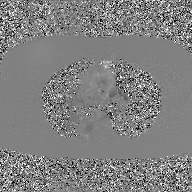
2D phase-contrast cine MRI of the ascending aorta, GAN super-resolution reconstruction.